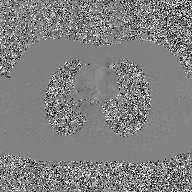
Clinical context: 2D phase-contrast cine MRI of the ascending aorta, GAN super-resolution reconstruction.